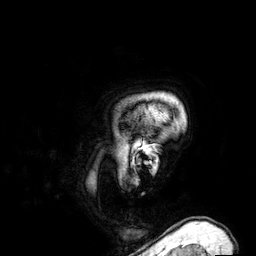
3 Tesla brain MRI. Series: 3D T1-weighted. Study: ring-enhancing brain masses.